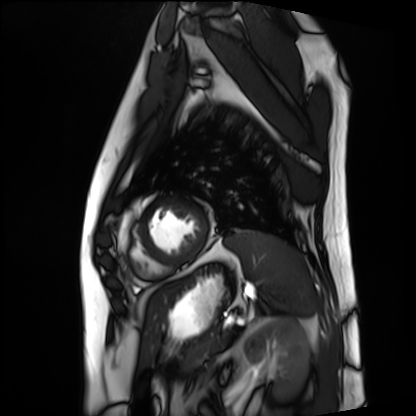
modality: cardiac MRI
cohort: patient